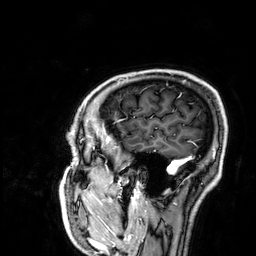
modality=3 Tesla brain MRI | series=3D T1-weighted | study=ring-enhancing brain masses.